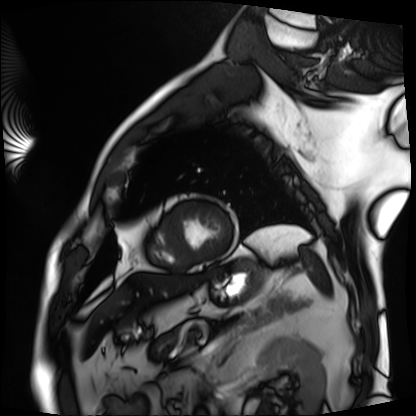
modality = cardiac MRI, subject group = patient.